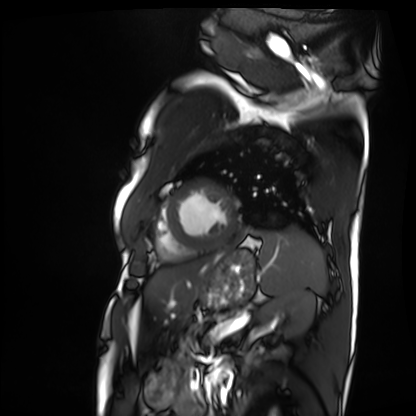
Cardiac MRI.
Subject group: patient.